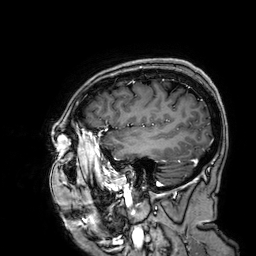
  modality:
    type: brain MRI
    field_strength: 3T
  series: 3D T1-weighted
  study_topic: ring-enhancing brain masses